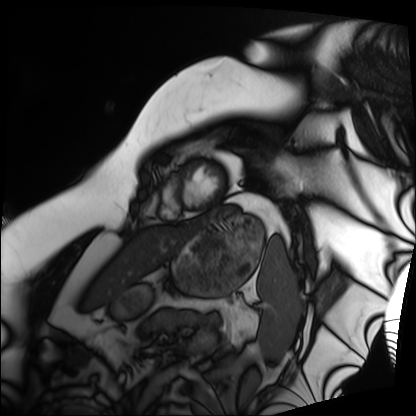
modality = cardiac MRI; subject group = patient.